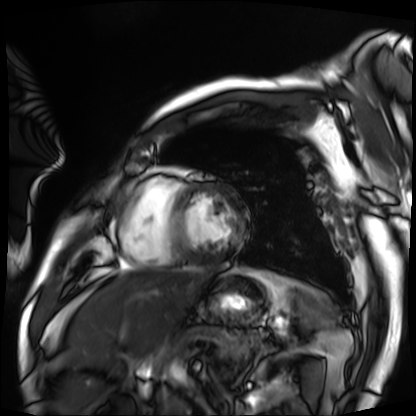
| field | value |
|---|---|
| modality | cardiac MRI |
| subject group | patient |